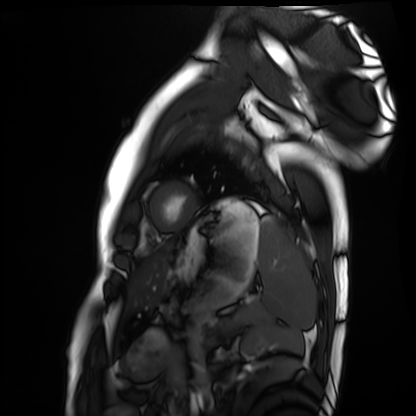
modality: cardiac MRI
subject group: healthy volunteer